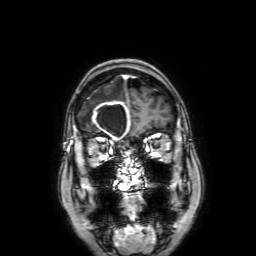
3 Tesla brain MRI. Series: 3D T1-weighted with SENSE. Study: ring-enhancing brain masses.